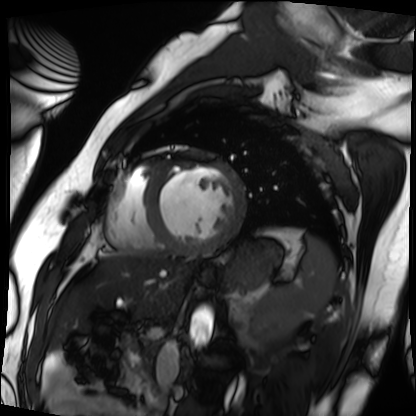
* modality · cardiac MRI
* subject group · patient